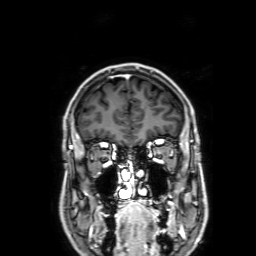
Case summary:
3 Tesla brain MRI. Series: 3D T1-weighted with SENSE. Study: ring-enhancing brain masses.